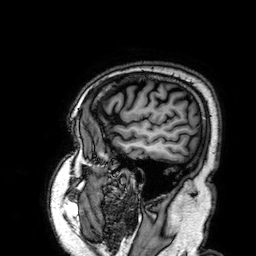
modality — 3 Tesla brain MRI; series — 3D T1-weighted; study — ring-enhancing brain masses.